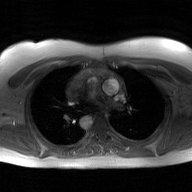
2D phase-contrast cine MRI of the ascending aorta, GAN super-resolution reconstruction.